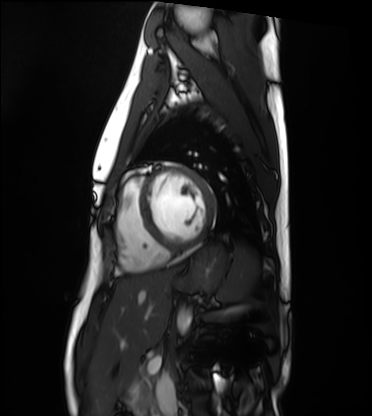
{"modality": "cardiac MRI", "cohort": "healthy volunteer"}